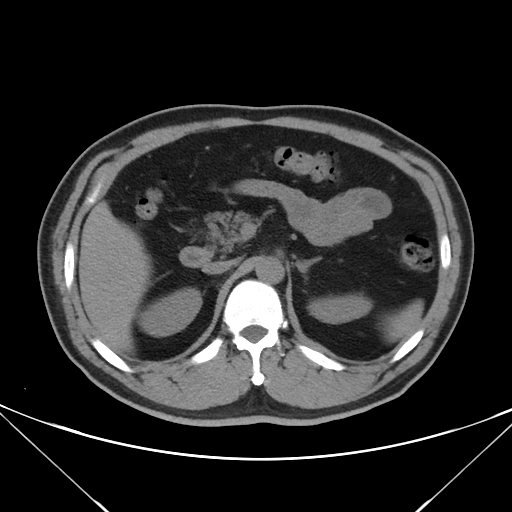
Summary: Multiphase abdominal CT, liver, non-contrast phase. Patient: male, age 50.